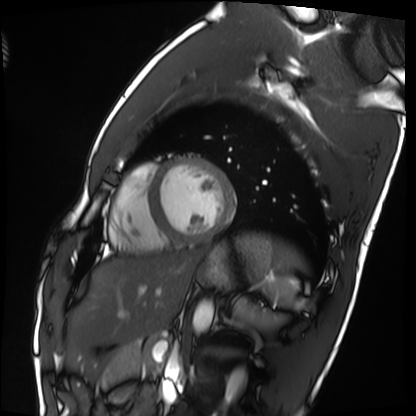
Q: What kind of scan is this?
A: Cardiac MRI.
Subject group: healthy volunteer.